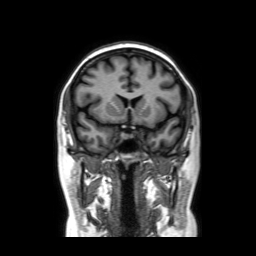
modality: 3 Tesla brain MRI
series: coronal without contrast
study: ring-enhancing brain masses